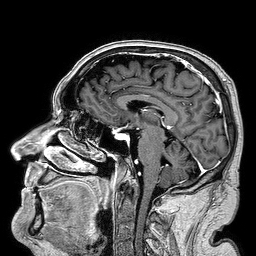
Clinical context:
3 Tesla brain MRI. Series: 3D T1-weighted turbo field echo. Study: ring-enhancing brain masses.